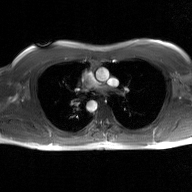
modality:
  type: 2D phase-contrast cine MRI
  region: ascending aorta
  reconstruction: GAN super-resolution reconstruction